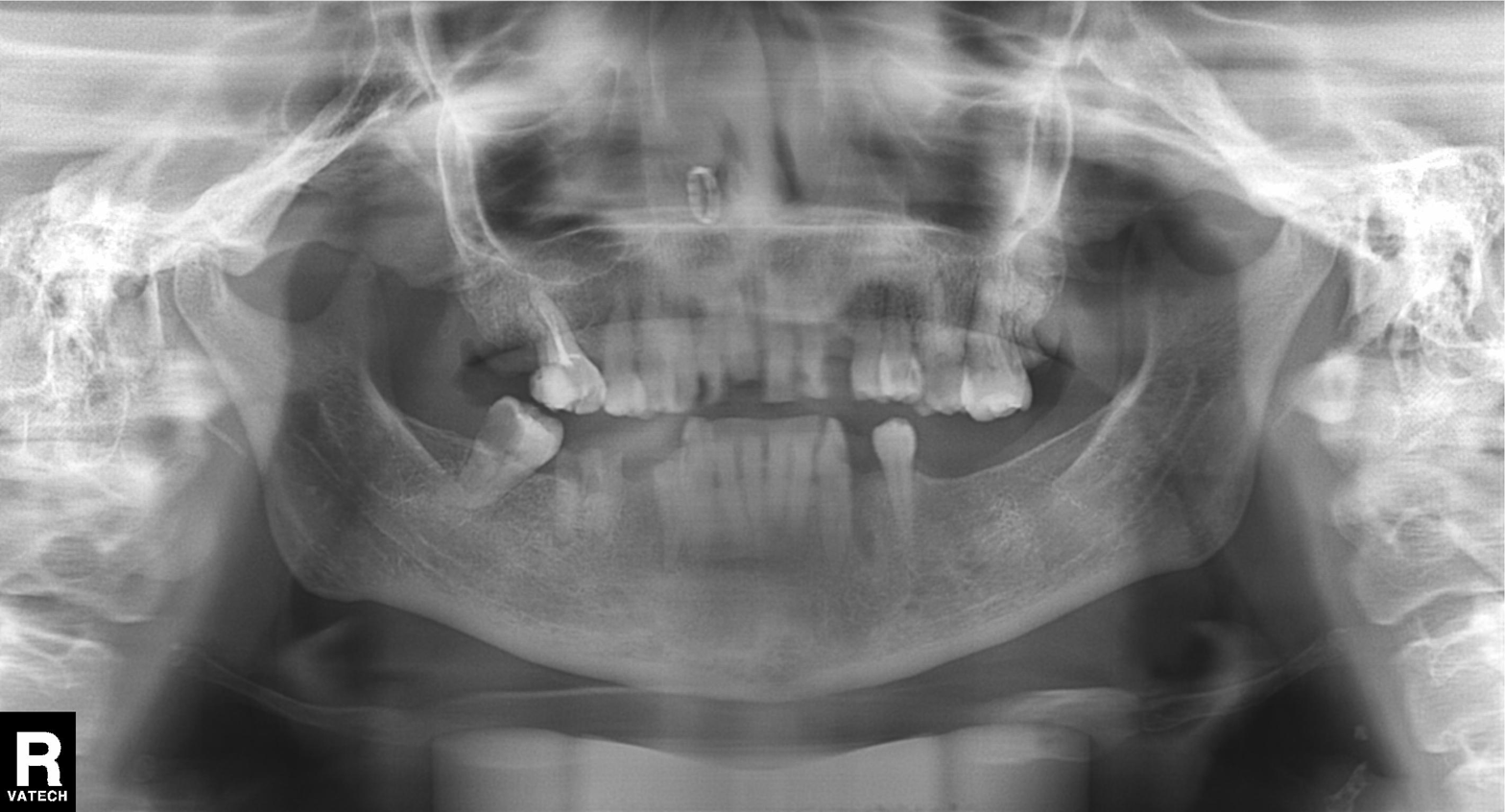
Findings:
• modality: panoramic dental radiograph (orthopantomogram)
• finding: alveolar bone loss